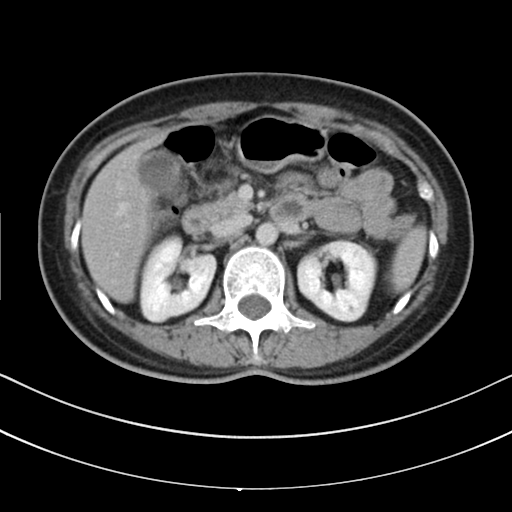
Multiphase abdominal CT, liver, delayed phase.
Patient: female, age 49.
History: prior chemotherapy.